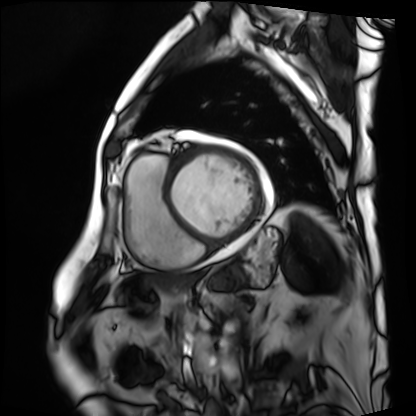
Case:
- modality — cardiac MRI
- subject group — patient